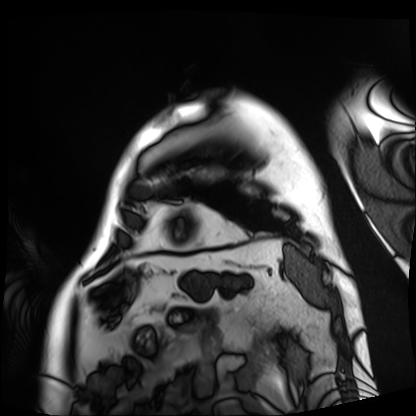
Cardiac MRI.
Subject group: patient.